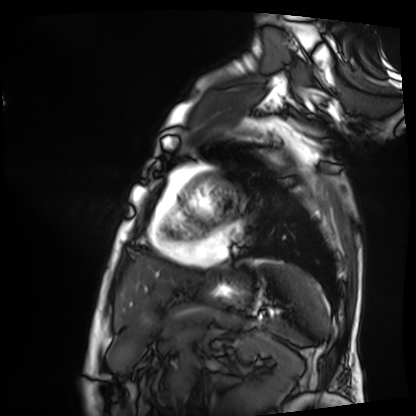
Cardiac MRI. Subject group: patient.